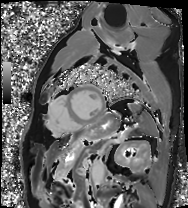
modality: cardiac MRI; subject group: patient.